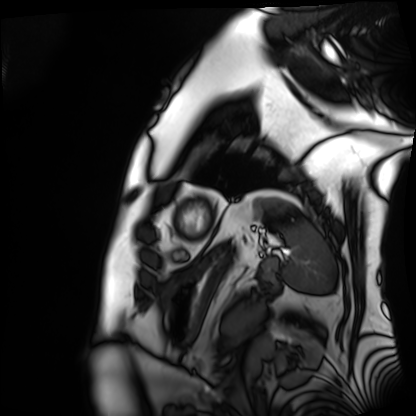
modality: cardiac MRI; subject group: patient.